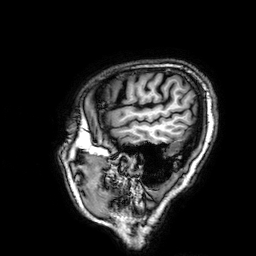
3 Tesla brain MRI. Series: 3D T1-weighted. Study: ring-enhancing brain masses.